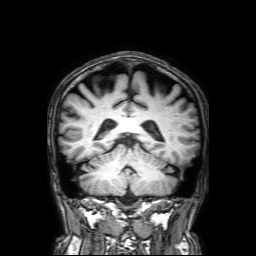
3 Tesla brain MRI. Series: 3D T1-weighted with SENSE. Study: ring-enhancing brain masses.